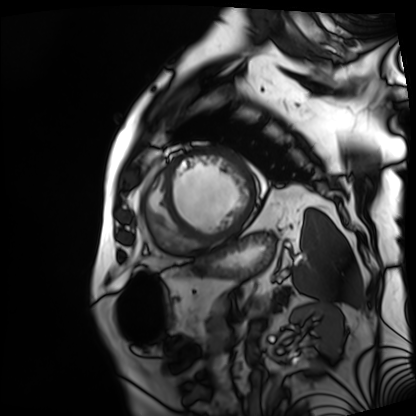
modality = cardiac MRI; subject group = patient.